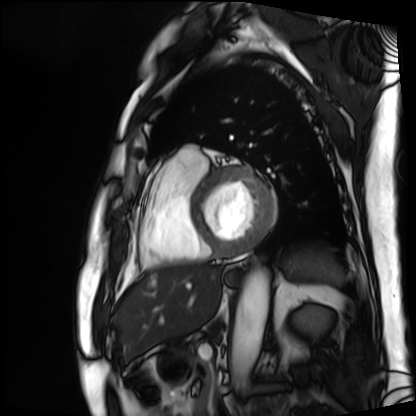
Clinical context:
Cardiac MRI. Subject group: patient.